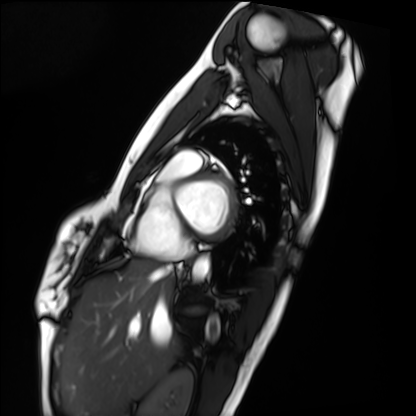
modality: cardiac MRI; subject group: healthy volunteer.